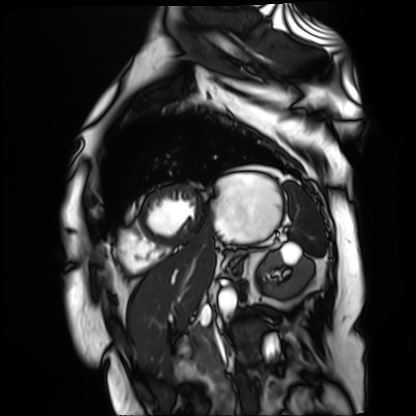
Q: What kind of scan is this?
A: Cardiac MR image of the myocardium.
Subject cohort: cardiac patient.